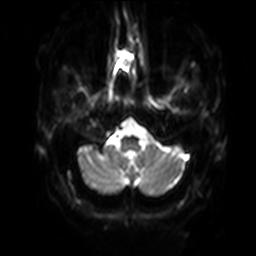
{
  "modality": {
    "type": "brain MRI",
    "field_strength": "3T"
  },
  "series": "diffusion-weighted imaging with SENSE (WIP)",
  "study_topic": "ring-enhancing brain masses"
}